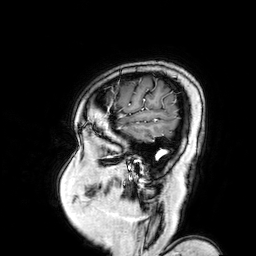
modality: 3 Tesla brain MRI; series: 3D T1-weighted turbo field echo with SENSE; study: ring-enhancing brain masses.